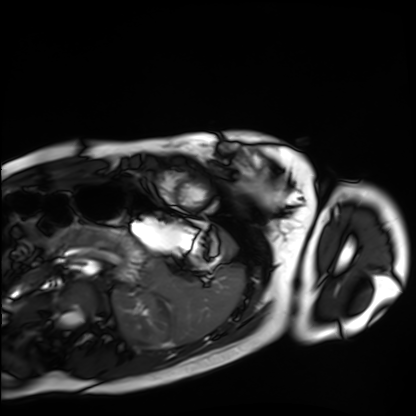
Cardiac MRI. Subject group: healthy volunteer.